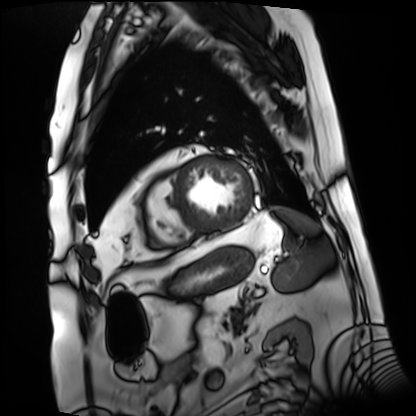
| field | value |
|---|---|
| modality | cardiac MRI |
| subject group | patient |